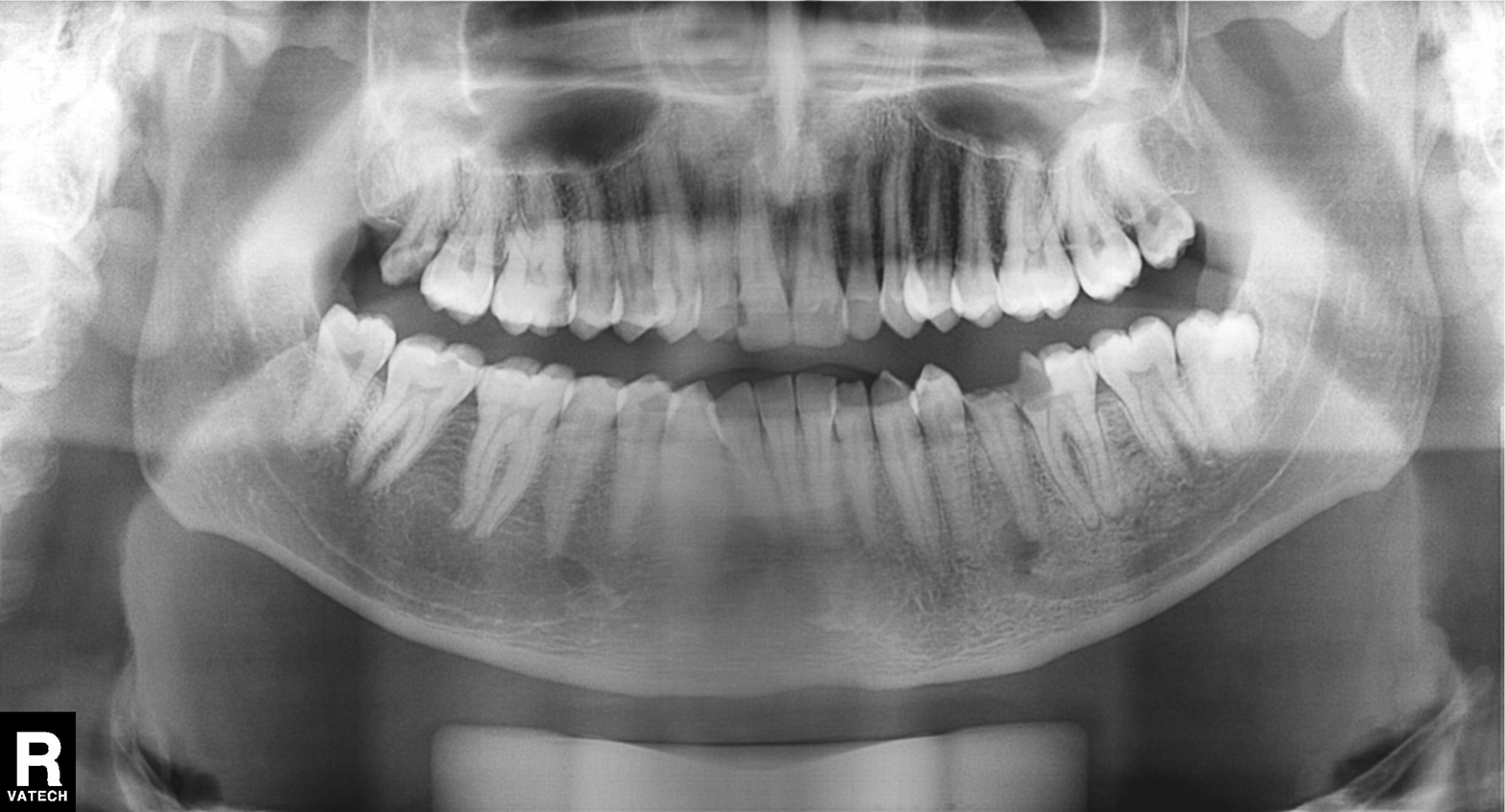
Panoramic dental radiograph (orthopantomogram).
Finding: tooth impaction.